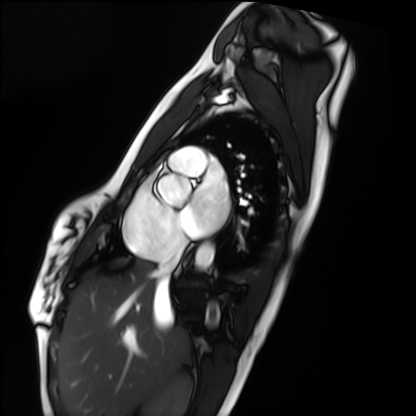
Case:
– modality · cardiac MRI
– subject group · healthy volunteer